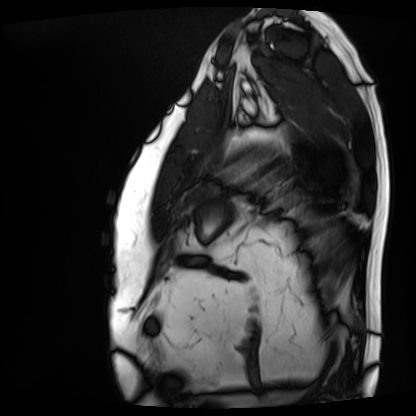
modality = cardiac MRI; subject group = patient.